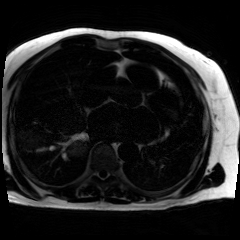
modality: chemical-shift-encoded cardiac MRI.